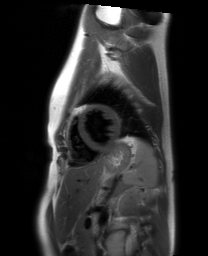
| field | value |
|---|---|
| modality | cardiac MRI |
| subject group | healthy volunteer |